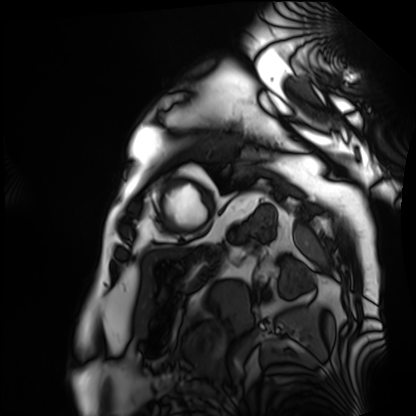
Summary: Cardiac MRI. Subject group: patient.